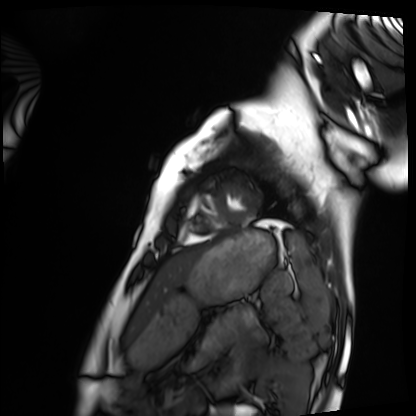
modality: cardiac MRI, subject group: healthy volunteer.